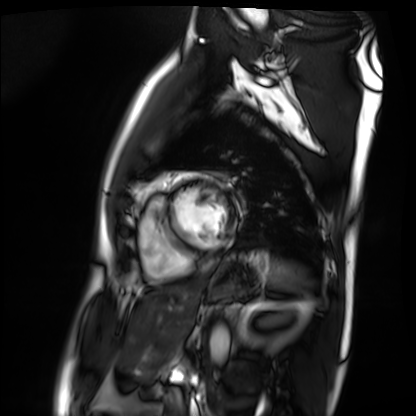
{"modality": "cardiac MRI", "cohort": "patient"}